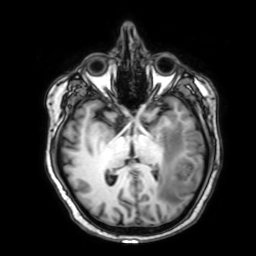
Case:
* modality · 3 Tesla brain MRI
* series · 3D T1-weighted with SENSE
* study · ring-enhancing brain masses